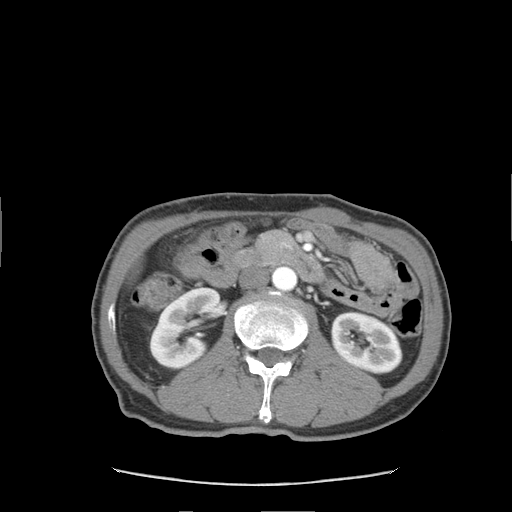
<scan>
<modality>
  <type>multiphase abdominal CT</type>
  <region>liver</region>
  <phase>arterial</phase>
</modality>
<patient>
  <sex>male</sex>
  <age>59</age>
</patient>
<history>viral hepatitis</history>
</scan>